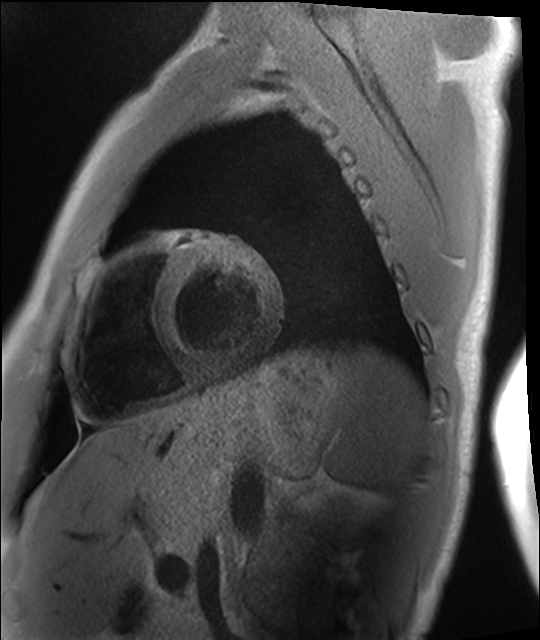
– modality · cardiac MRI
– subject group · healthy volunteer